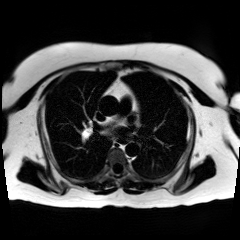
Chemical-shift-encoded cardiac MRI.